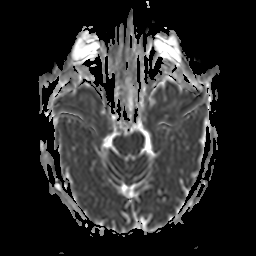
3 Tesla brain MRI.
Series: apparent diffusion coefficient (ADC) map.
Study: ring-enhancing brain masses.